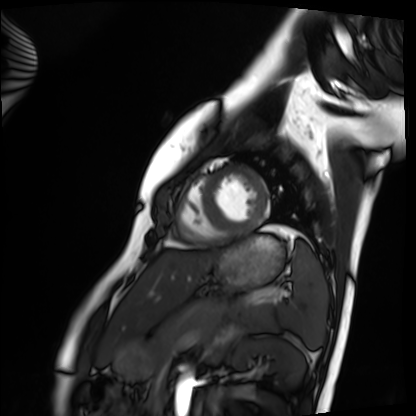
modality=cardiac MRI; subject group=healthy volunteer.